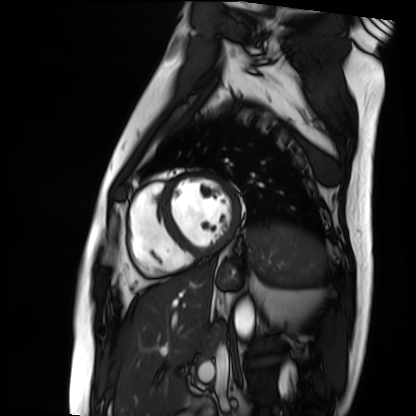
Summary:
Cardiac MRI. Subject group: patient.